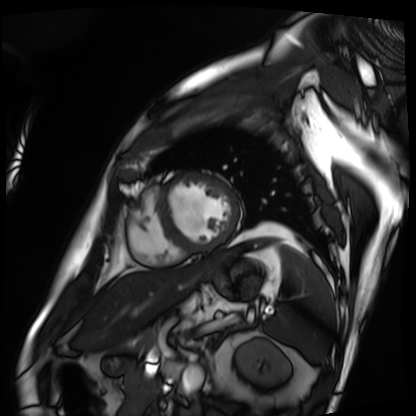
Cardiac MRI.
Subject group: patient.